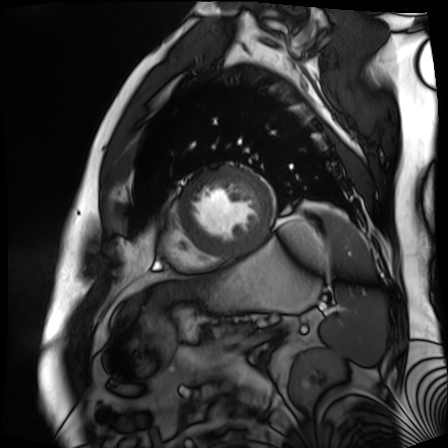
Summary:
Cardiac MR image of the myocardium. Subject cohort: cardiac patient.